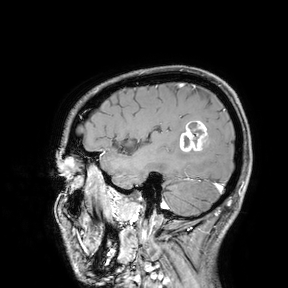
modality:
  type: brain MRI
  field_strength: 3T
study_topic: ring-enhancing brain masses